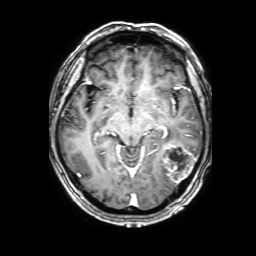
<study>
  <modality>
    <type>brain MRI</type>
    <field_strength>3T</field_strength>
  </modality>
  <series>3D T1-weighted with SENSE</series>
  <study_topic>ring-enhancing brain masses</study_topic>
</study>